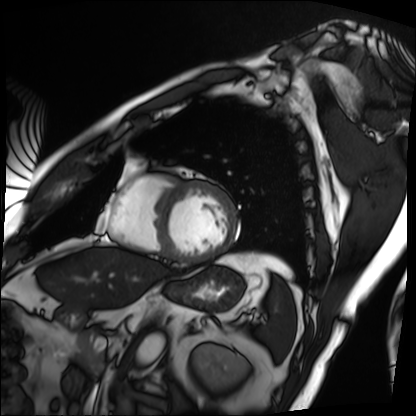
Cardiac MRI.
Subject group: patient.